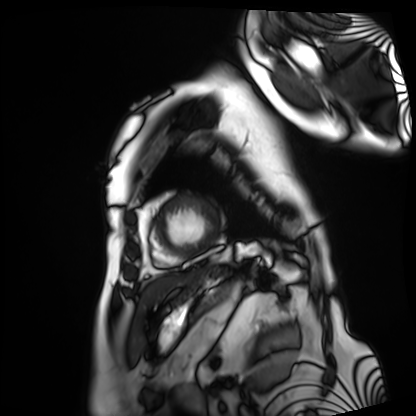
Cardiac MRI.
Subject group: patient.